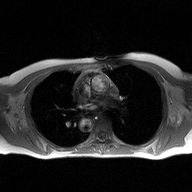
2D phase-contrast cine MRI of the ascending aorta, high-resolution GRAPPA acquisition.